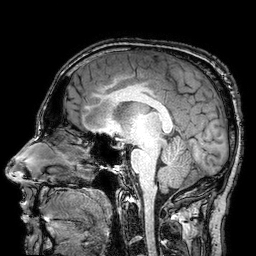
3 Tesla brain MRI.
Series: 3D T1-weighted turbo field echo with SENSE.
Study: ring-enhancing brain masses.